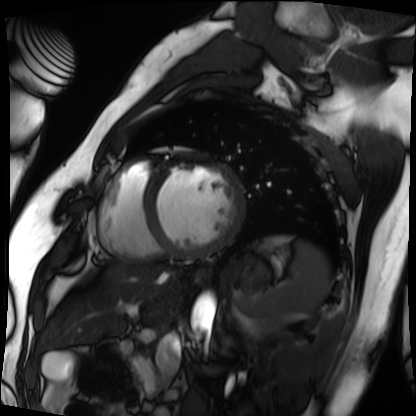
Cardiac MRI.
Subject group: patient.